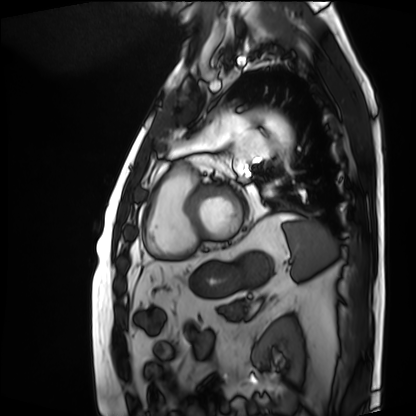
modality: cardiac MRI
cohort: patient